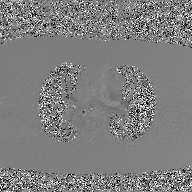
2D phase-contrast cine MRI of the ascending aorta, GAN super-resolution reconstruction.